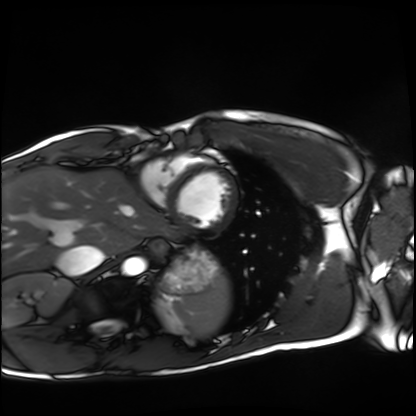
Cardiac MRI.
Subject group: healthy volunteer.